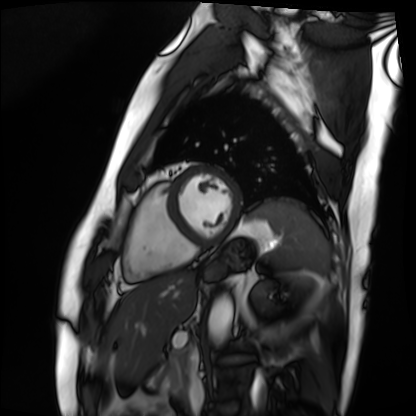
Summary: Cardiac MRI. Subject group: patient.